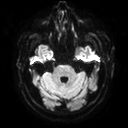
Q: What kind of scan is this?
A: 3 Tesla brain MRI.
Study: ring-enhancing brain masses.